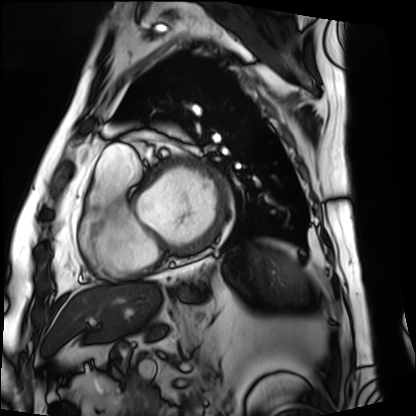
{"modality": "cardiac MRI", "cohort": "patient"}